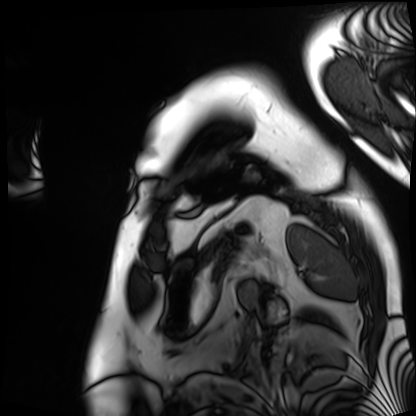
Case:
* modality · cardiac MRI
* subject group · patient